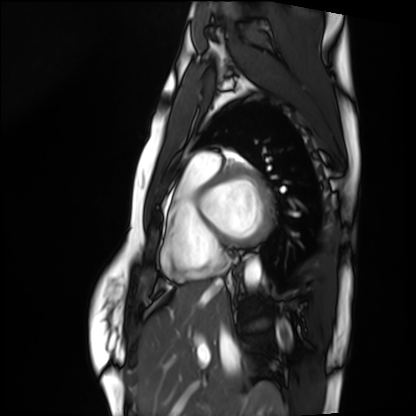
{
  "modality": "cardiac MRI",
  "cohort": "healthy volunteer"
}